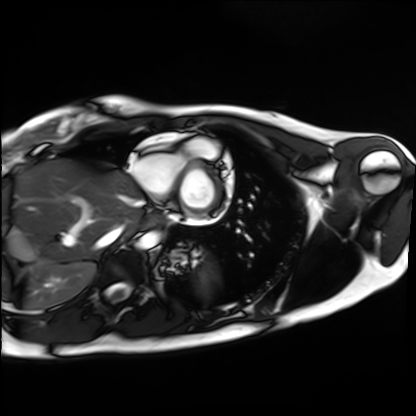
  modality: cardiac MRI
  cohort: healthy volunteer